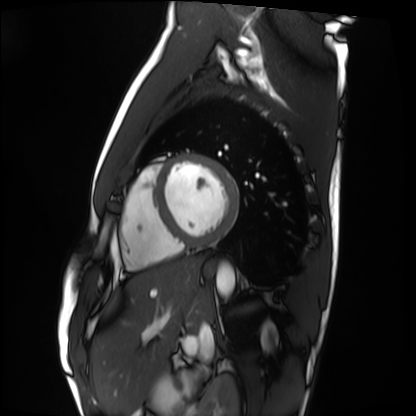
modality: cardiac MRI
cohort: healthy volunteer